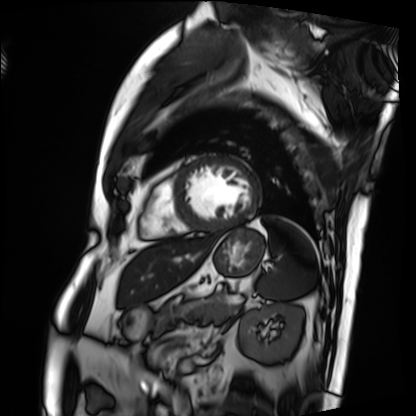
modality: cardiac MRI; subject group: patient.